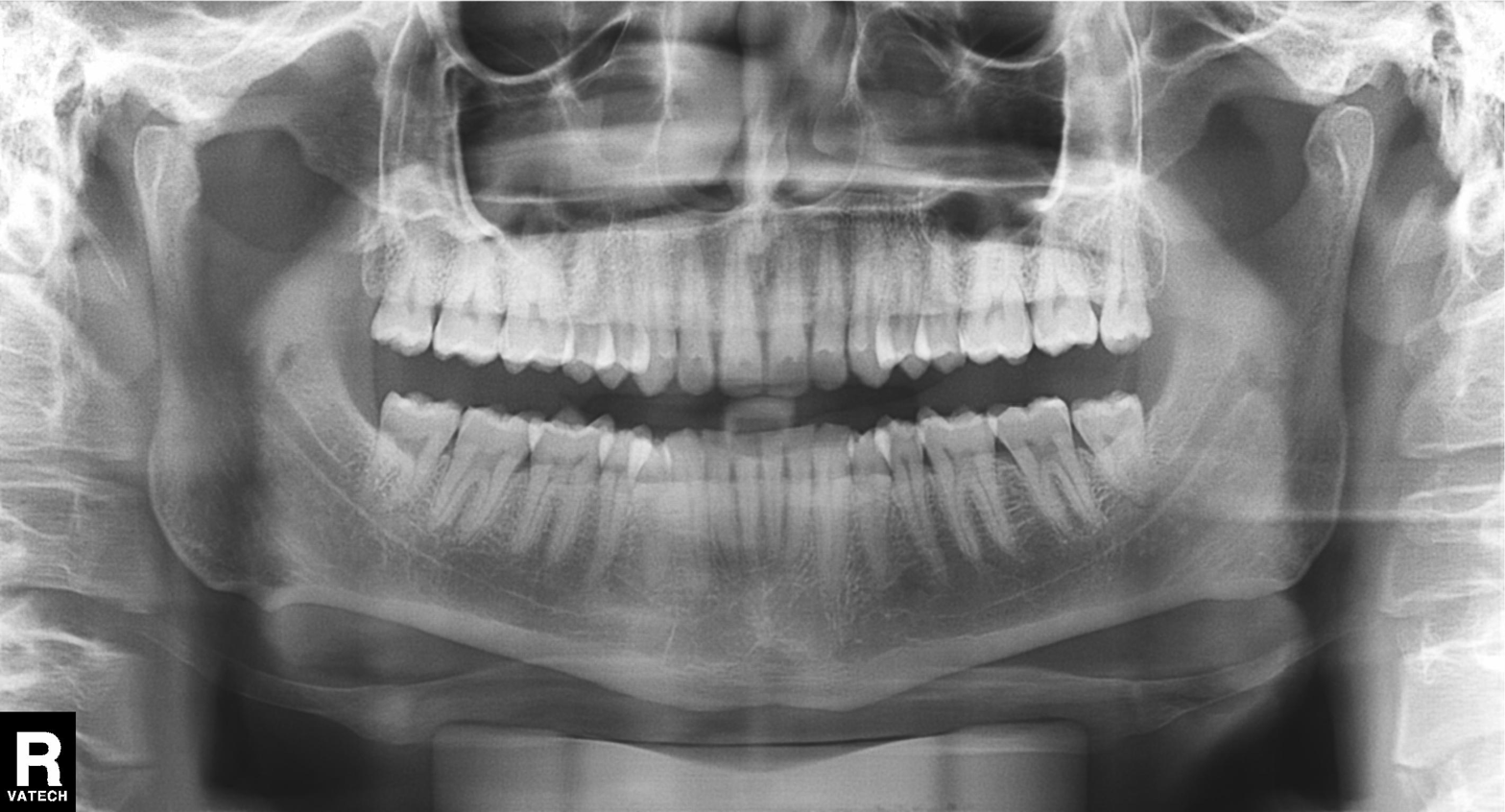
• modality: panoramic dental radiograph (orthopantomogram)
• finding: dental caries (cavities)